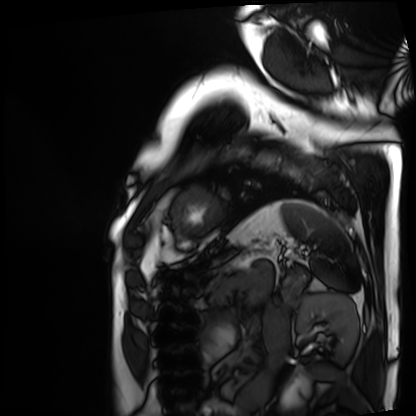
Cardiac MRI. Subject group: patient.